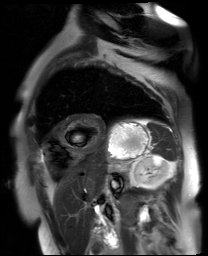
modality: cardiac MR image of the myocardium; subject cohort: cardiac patient.